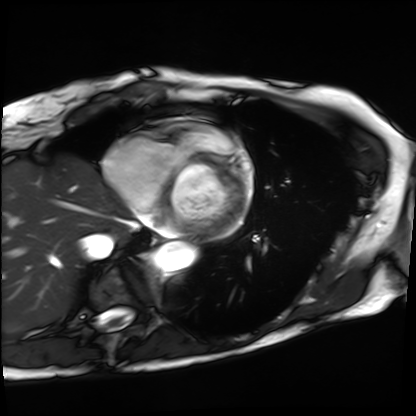
Cardiac MRI.
Subject group: patient.